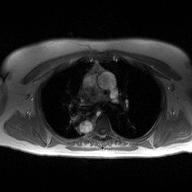
modality — 2D phase-contrast cine MRI of the ascending aorta.